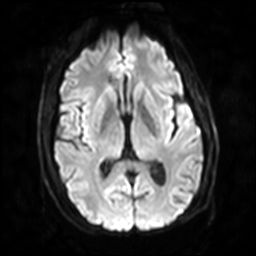
modality: 3 Tesla brain MRI | series: diffusion-weighted imaging with SENSE (WIP) | study: ring-enhancing brain masses.